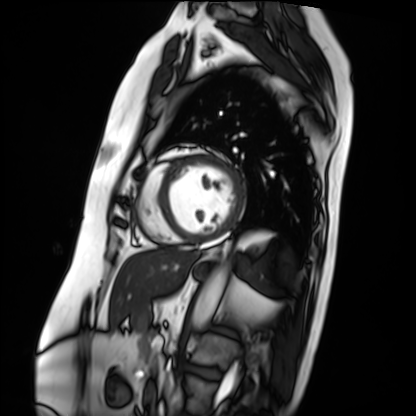
Cardiac MRI. Subject group: patient.